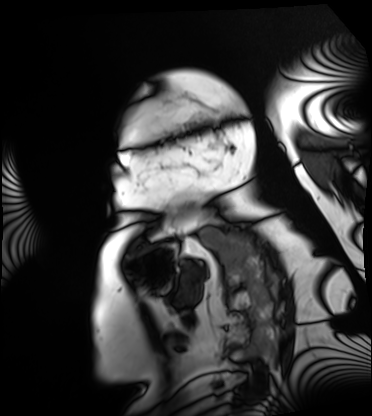
Cardiac MRI. Subject group: patient.